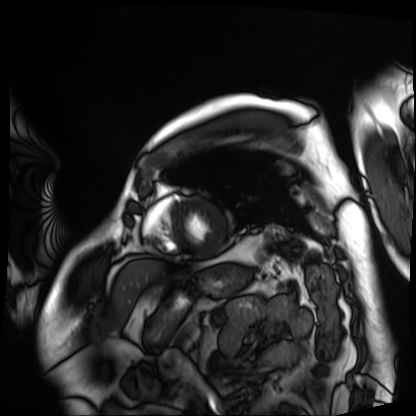
Case:
- modality: cardiac MRI
- subject group: patient